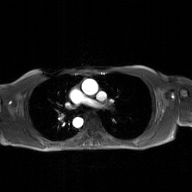
2D phase-contrast cine MRI of the ascending aorta, GAN super-resolution reconstruction.